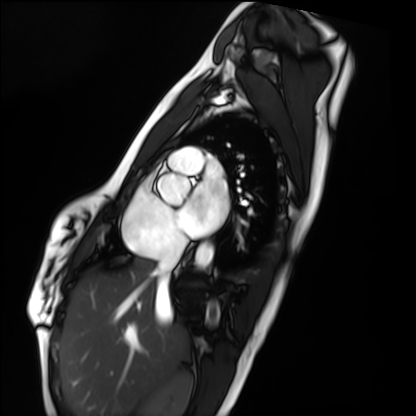
Cardiac MRI. Subject group: healthy volunteer.